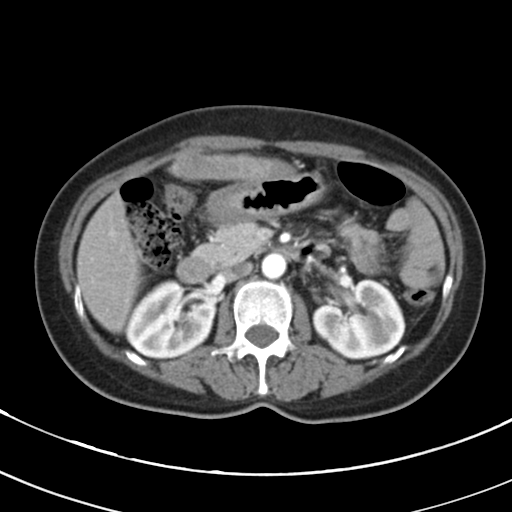
Multiphase abdominal CT, liver, arterial phase. Patient: female, age 56. History: cirrhosis, viral hepatitis.